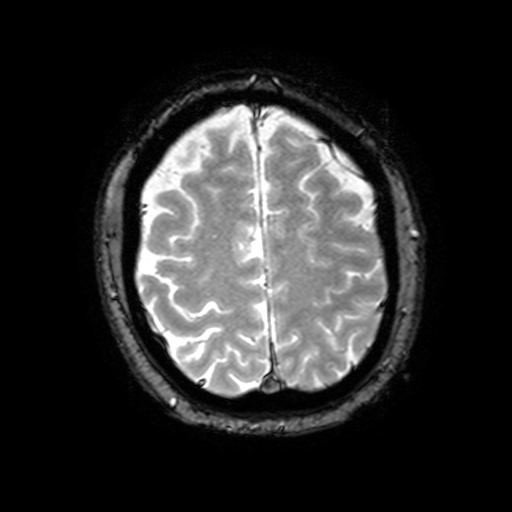
{"modality": {"type": "brain MRI", "field_strength": "3T"}, "series": "T2-weighted fast field echo with SENSE", "study_topic": "ring-enhancing brain masses"}